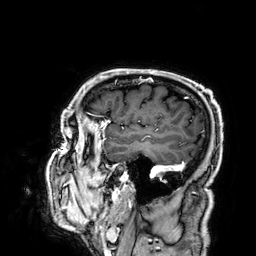
Case:
* modality: 3 Tesla brain MRI
* series: 3D T1-weighted
* study: ring-enhancing brain masses